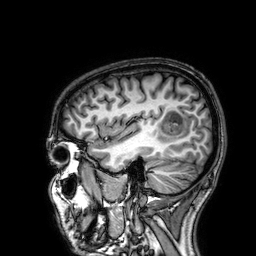
modality = 3 Tesla brain MRI
series = 3D T1-weighted
study = ring-enhancing brain masses